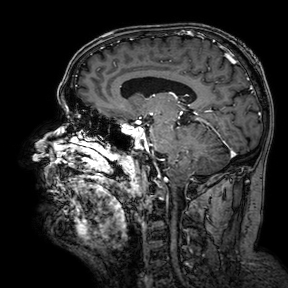
Summary:
3 Tesla brain MRI. Series: 3D T1-weighted turbo field echo with SENSE. Study: ring-enhancing brain masses.